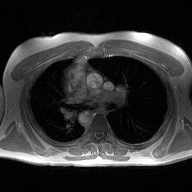
modality: 2D phase-contrast cine MRI of the ascending aorta.